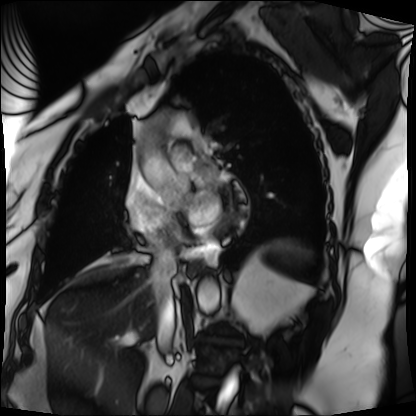
Q: What kind of scan is this?
A: Cardiac MRI.
Subject group: patient.